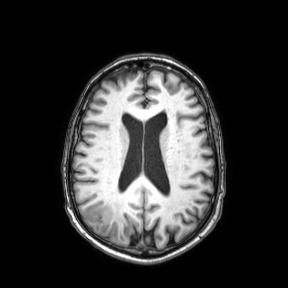
Case:
* modality: 3 Tesla brain MRI
* series: axial
* study: ring-enhancing brain masses